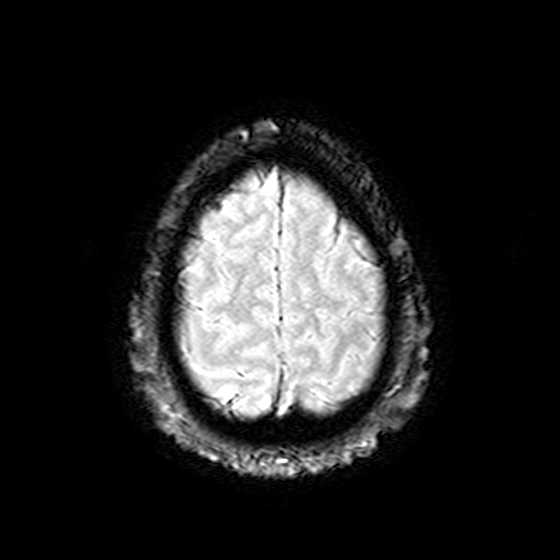
Clinical context: 3 Tesla brain MRI. Series: T2-weighted fast field echo. Study: ring-enhancing brain masses.